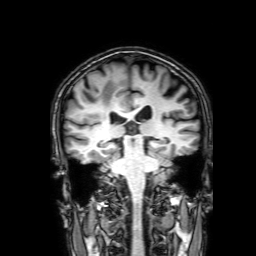
<record>
<modality>
  <type>brain MRI</type>
  <field_strength>3T</field_strength>
</modality>
<series>3D T1-weighted with SENSE</series>
<study_topic>ring-enhancing brain masses</study_topic>
</record>